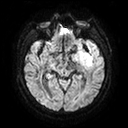
Clinical context: 3 Tesla brain MRI. Series: diffusion tensor imaging (medium iso). Study: ring-enhancing brain masses.